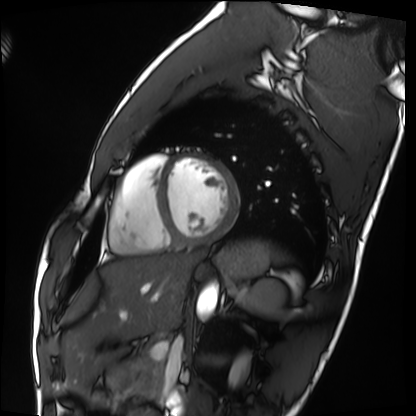
Summary:
Cardiac MRI. Subject group: healthy volunteer.